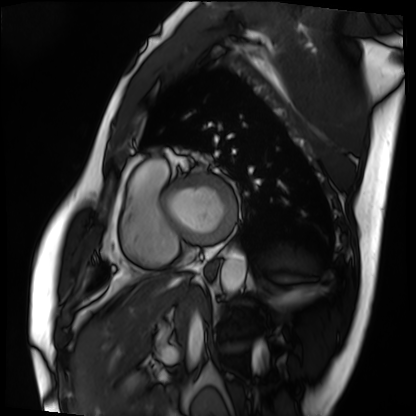
Cardiac MRI.
Subject group: patient.